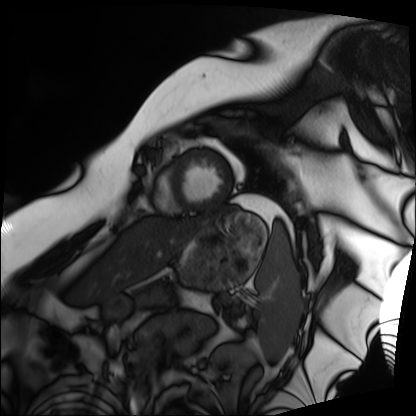
• modality — cardiac MRI
• subject group — patient